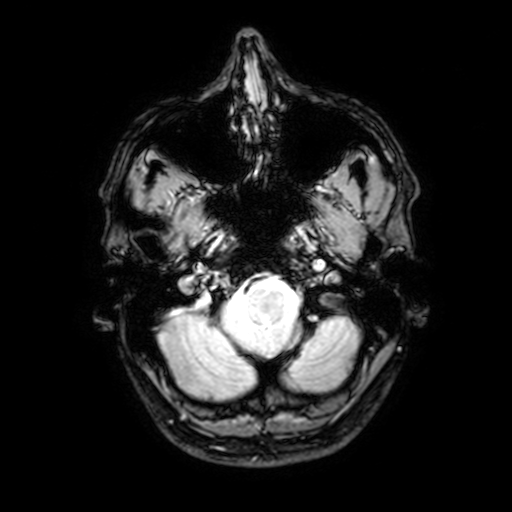
3 Tesla brain MRI. Series: T2-weighted fast field echo with SENSE. Study: ring-enhancing brain masses.